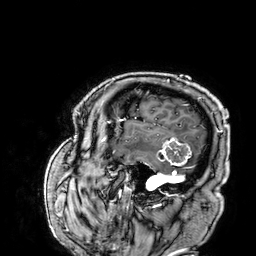
| field | value |
|---|---|
| modality | 3 Tesla brain MRI |
| series | 3D T1-weighted |
| study | ring-enhancing brain masses |